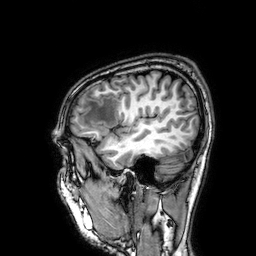
Case:
– modality: 3 Tesla brain MRI
– series: 3D T1-weighted
– study: ring-enhancing brain masses